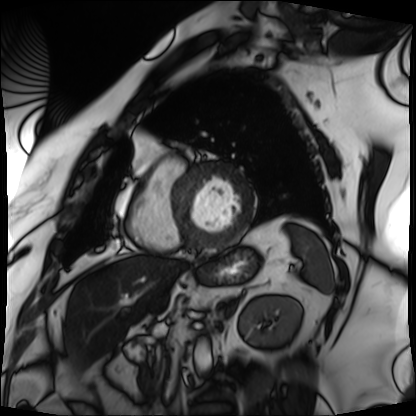
Summary:
Cardiac MRI. Subject group: patient.